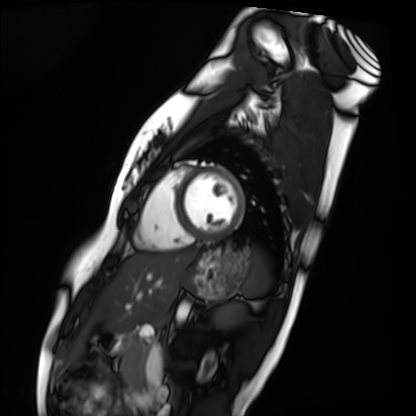
Cardiac MRI. Subject group: healthy volunteer.